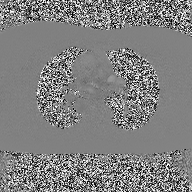
* modality · 2D phase-contrast cine MRI of the ascending aorta